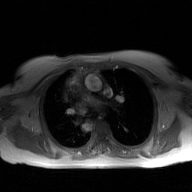
2D phase-contrast cine MRI of the ascending aorta, GAN super-resolution reconstruction.